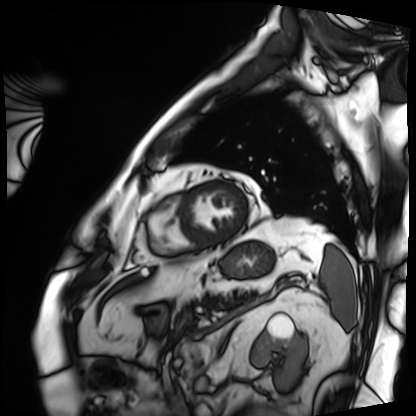
{"modality": "cardiac MRI", "cohort": "patient"}